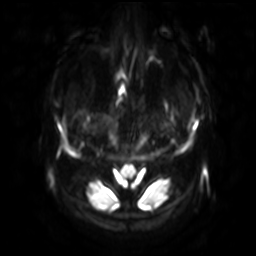
Summary: 3 Tesla brain MRI. Series: diffusion-weighted imaging with SENSE (WIP). Study: ring-enhancing brain masses.